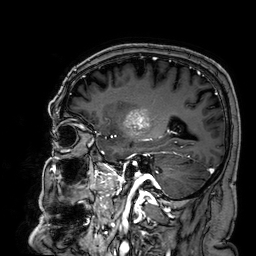
3 Tesla brain MRI.
Series: 3D T1-weighted.
Study: ring-enhancing brain masses.